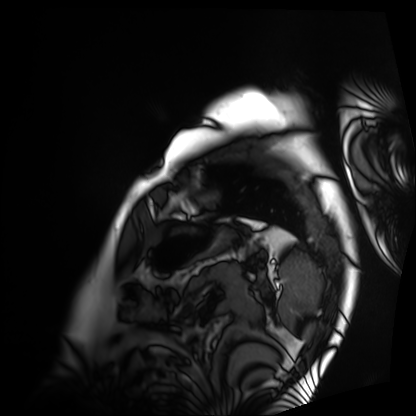
Cardiac MRI. Subject group: patient.